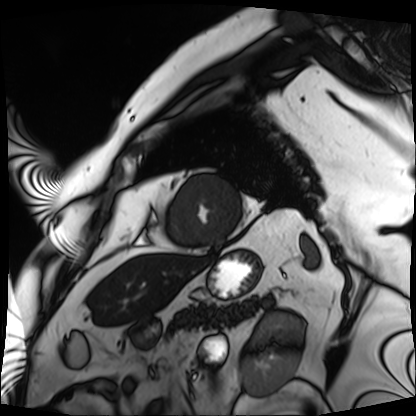
Q: What kind of scan is this?
A: Cardiac MRI.
Subject group: patient.